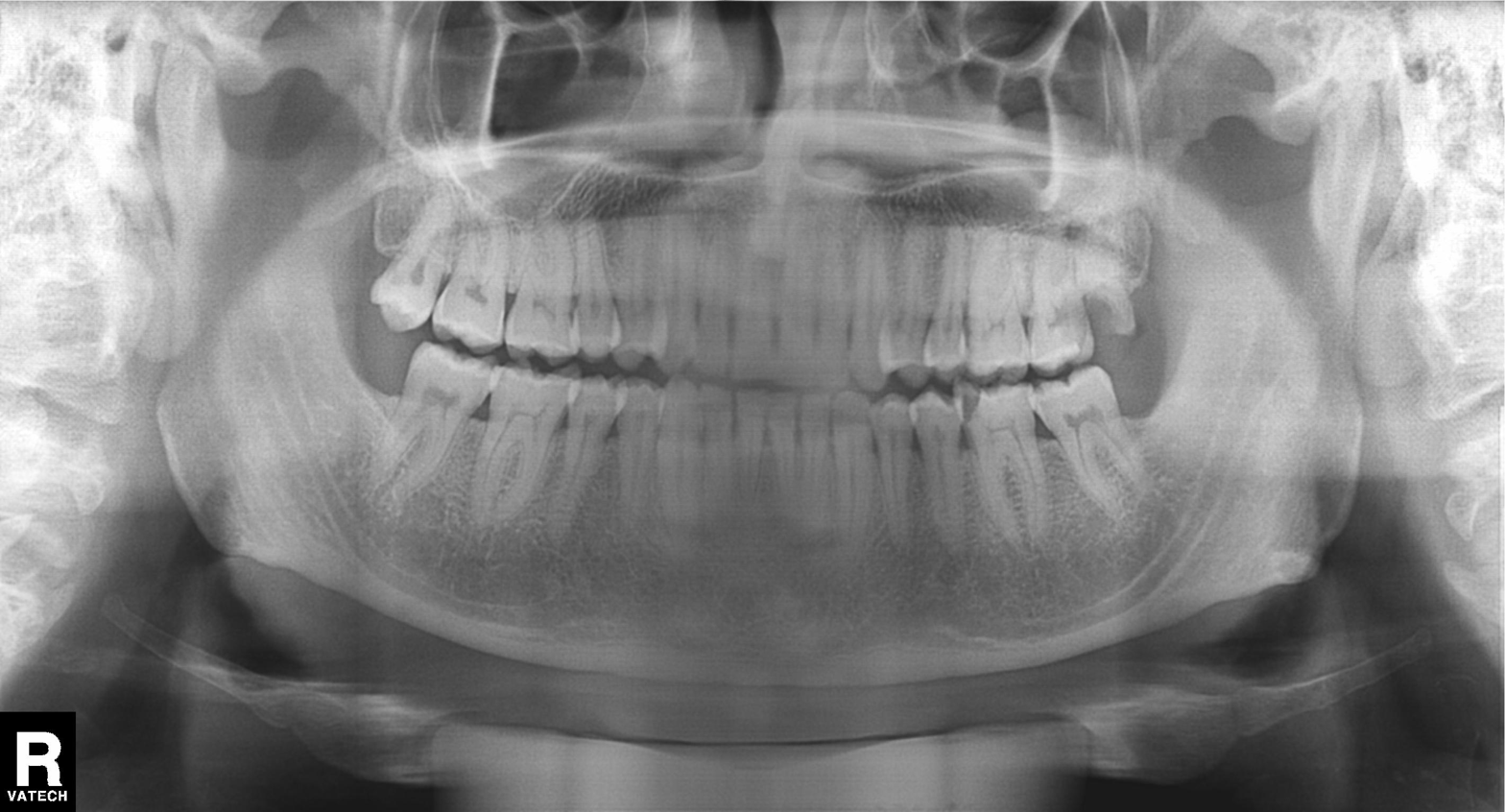
Summary:
Panoramic dental radiograph (orthopantomogram).
Diagnosis:
Dental caries (cavities).